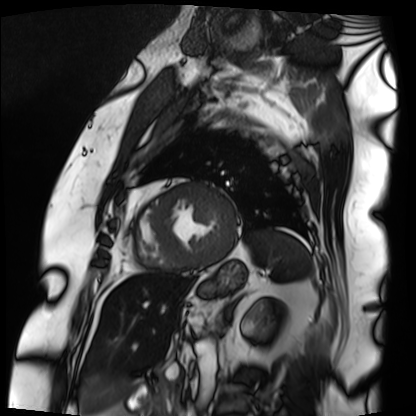
Q: What kind of scan is this?
A: Cardiac MRI.
Subject group: patient.